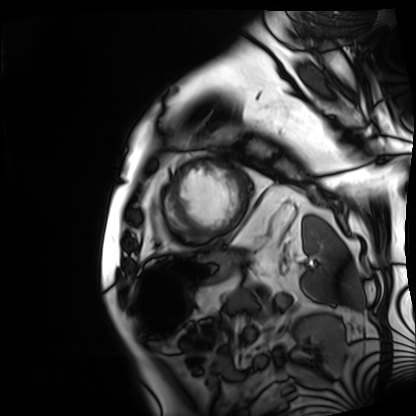
Cardiac MRI.
Subject group: patient.